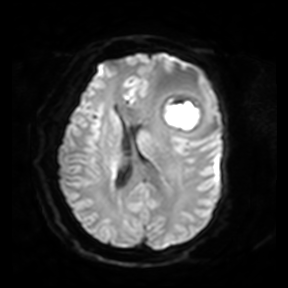
3 Tesla brain MRI. Series: diffusion-weighted imaging. Study: ring-enhancing brain masses.